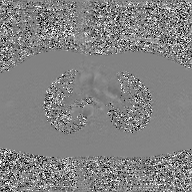
Case:
* modality: 2D phase-contrast cine MRI of the ascending aorta, GAN super-resolution reconstruction